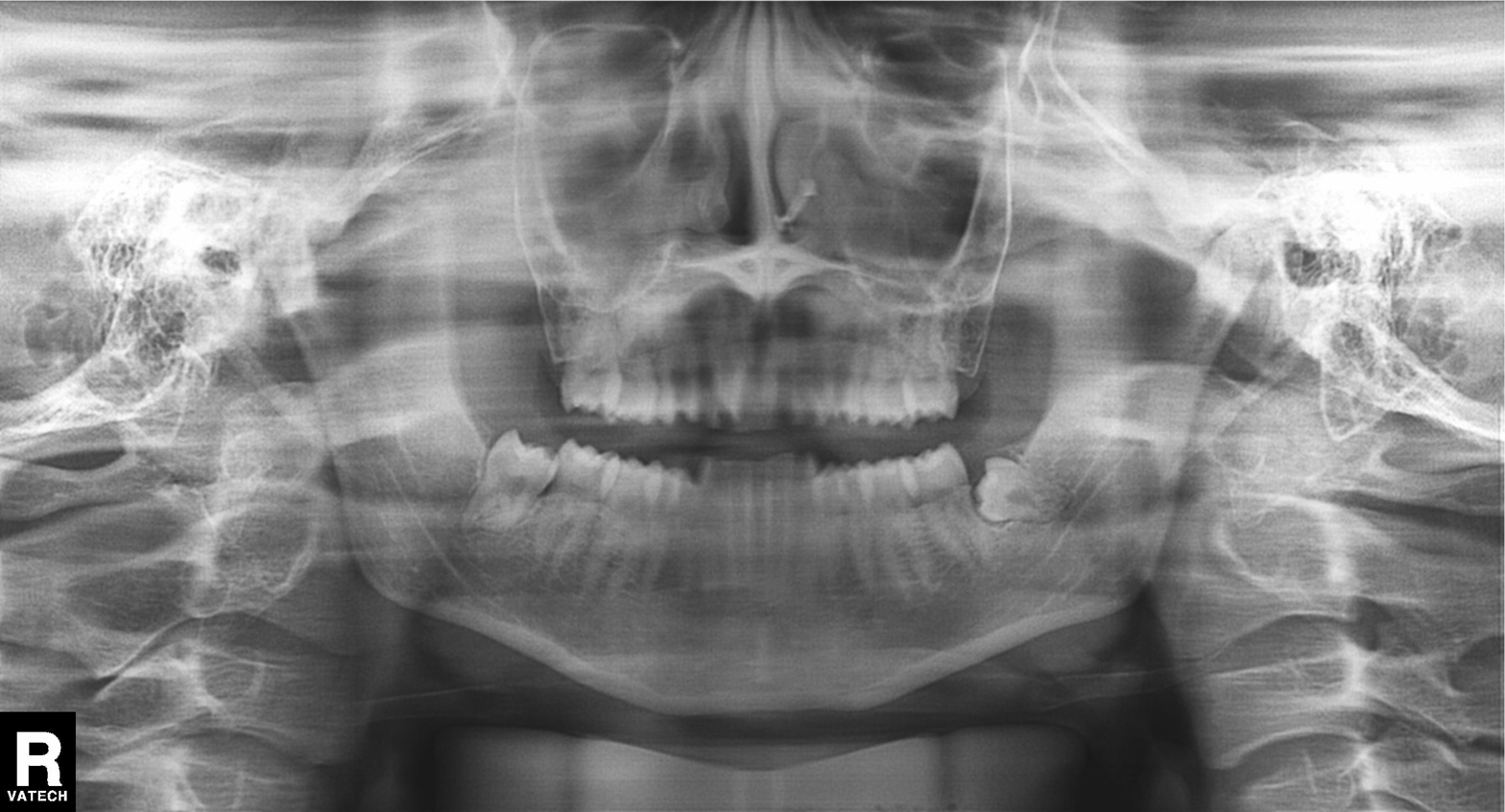
<scan>
  <modality>panoramic dental radiograph (orthopantomogram)</modality>
  <finding>tooth impaction</finding>
</scan>